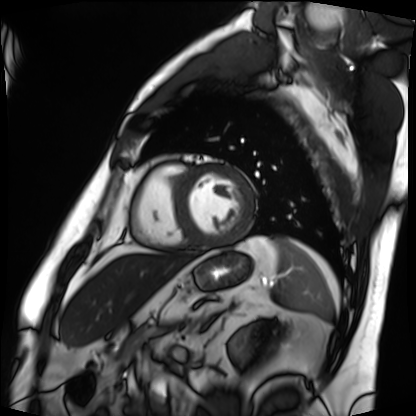
Cardiac MRI. Subject group: patient.